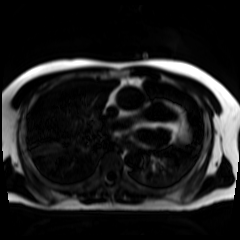
Clinical context: Chemical-shift-encoded cardiac MRI.